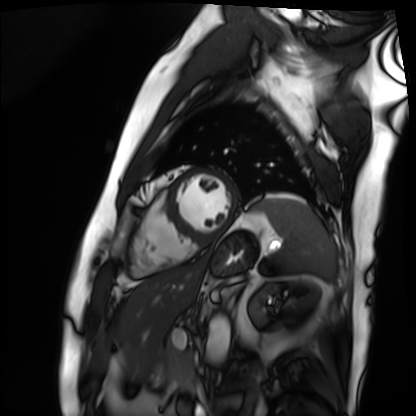
Summary:
Cardiac MRI. Subject group: patient.